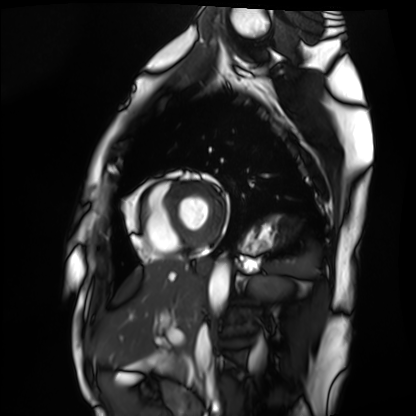
| field | value |
|---|---|
| modality | cardiac MRI |
| subject group | healthy volunteer |